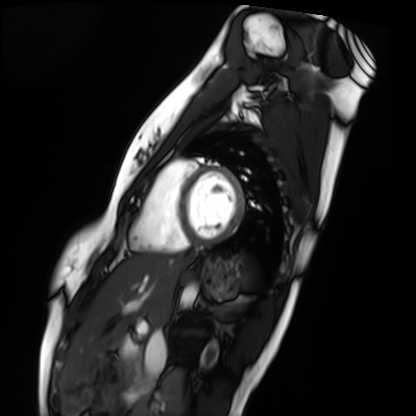
Case:
* modality — cardiac MRI
* subject group — healthy volunteer